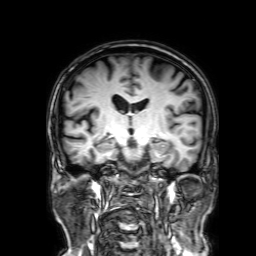
3 Tesla brain MRI. Series: 3D T1-weighted with SENSE. Study: ring-enhancing brain masses.